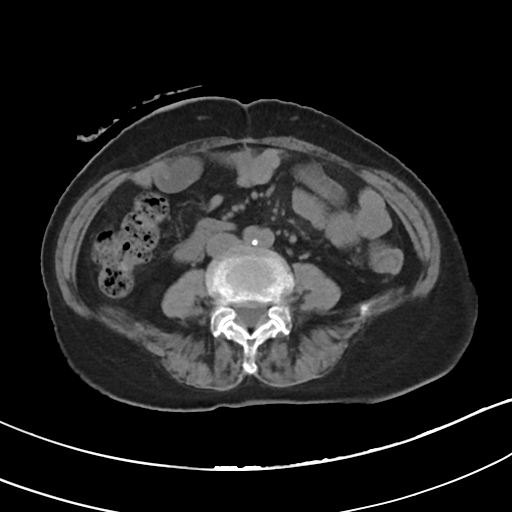
<study>
<modality>
  <type>multiphase abdominal CT</type>
  <region>liver</region>
  <phase>non-contrast</phase>
</modality>
<patient>
  <sex>female</sex>
  <age>75</age>
</patient>
</study>